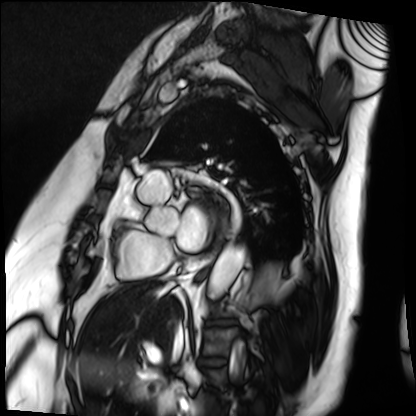
modality = cardiac MRI
subject group = patient